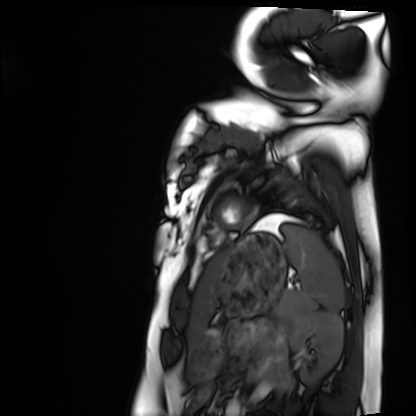
| field | value |
|---|---|
| modality | cardiac MRI |
| subject group | healthy volunteer |